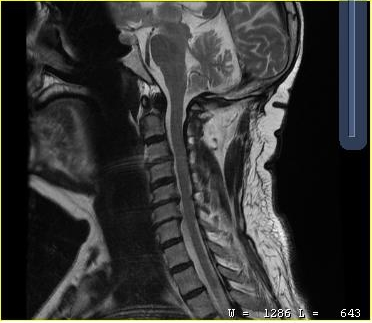
MRI of the cervical spine. Study: cervical spondylosis.